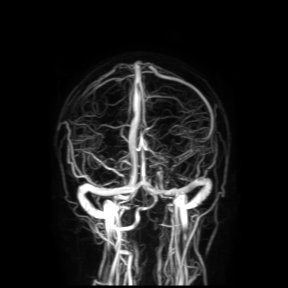
- modality · 3 Tesla brain MRI
- study · ring-enhancing brain masses